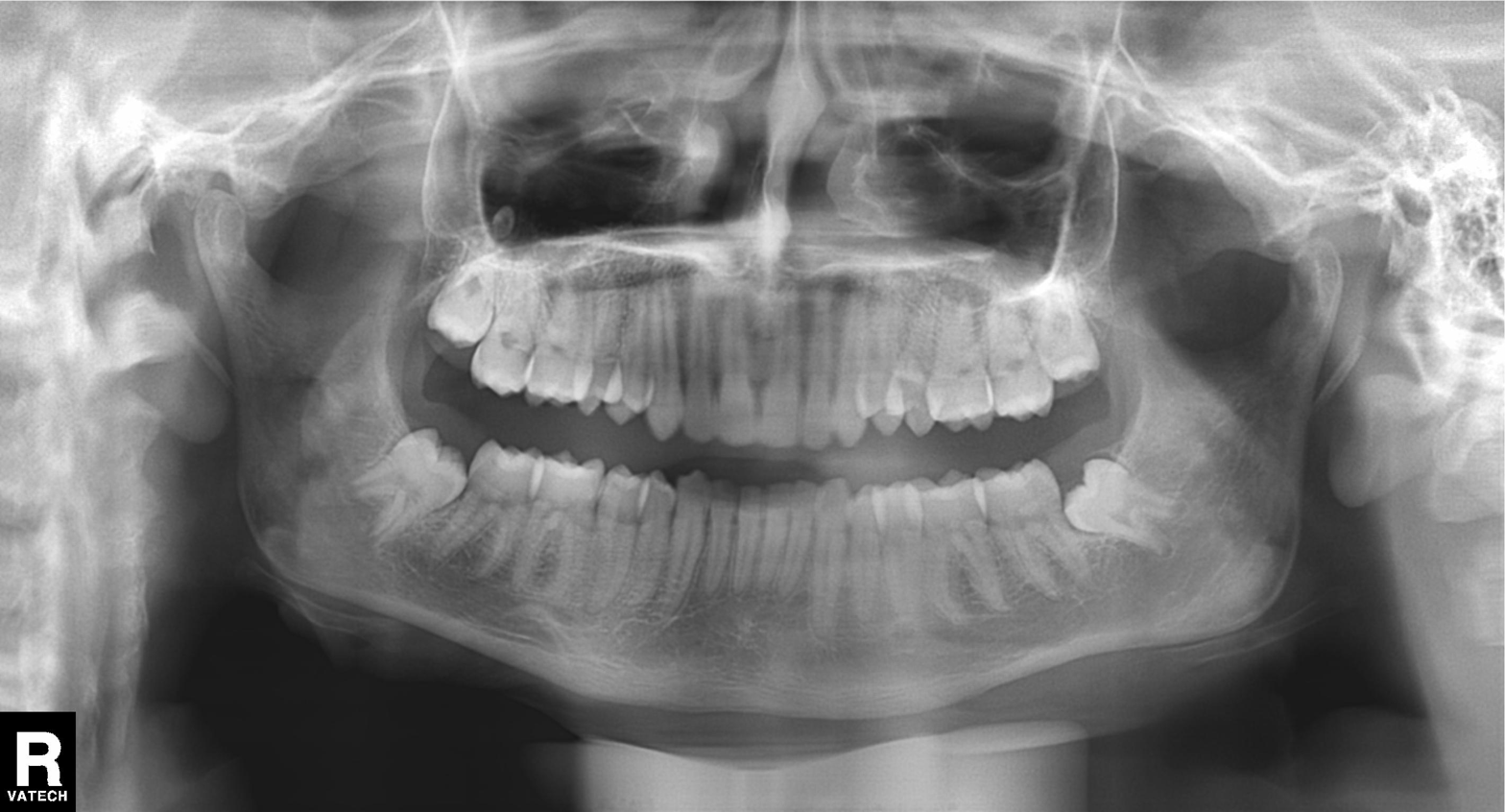
Findings:
* modality · panoramic dental radiograph (orthopantomogram)
* finding · alveolar bone loss